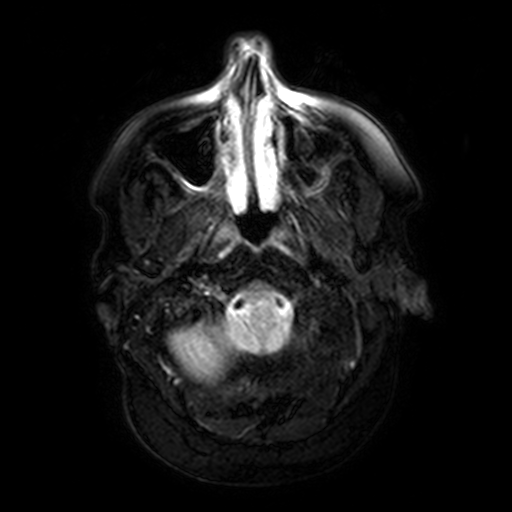
Case:
– modality: 3 Tesla brain MRI
– series: FLAIR with SPAIR, 3 mm
– study: ring-enhancing brain masses